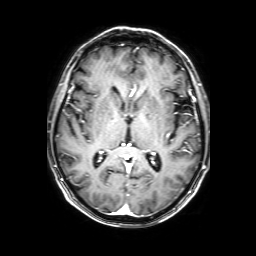
3 Tesla brain MRI. Series: 3D T1-weighted with SENSE. Study: ring-enhancing brain masses.